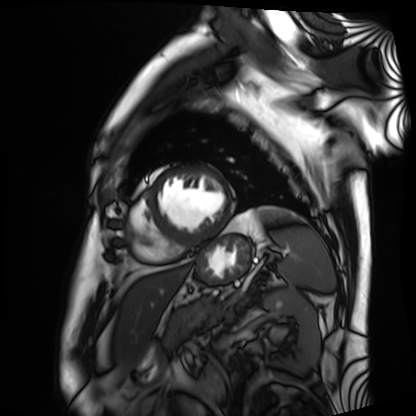
Q: What kind of scan is this?
A: Cardiac MRI.
Subject group: patient.